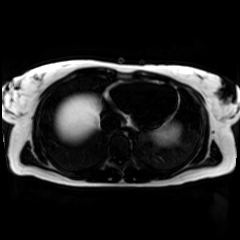
Case:
* modality: chemical-shift-encoded cardiac MRI